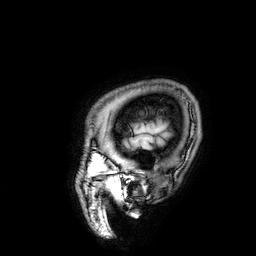
<case>
<modality>
  <type>brain MRI</type>
  <field_strength>3T</field_strength>
</modality>
<series>3D T1-weighted</series>
<study_topic>ring-enhancing brain masses</study_topic>
</case>